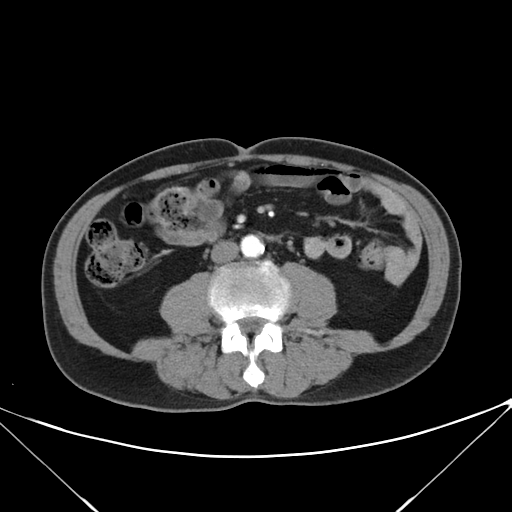
Multiphase abdominal CT, liver, arterial phase.
Patient: male, age 68.